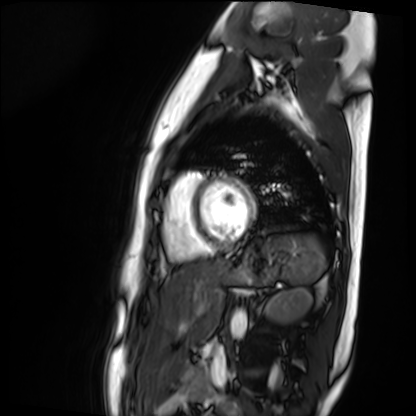
Cardiac MR image of the myocardium.
Subject cohort: healthy volunteer.